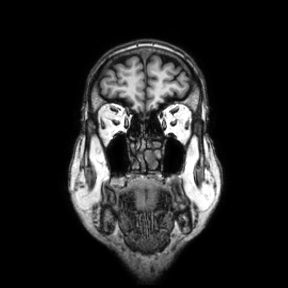
• modality · 3 Tesla brain MRI
• study · ring-enhancing brain masses